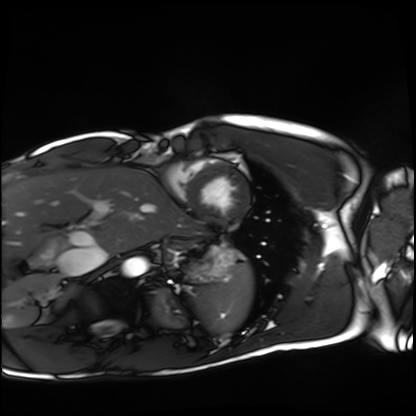
Cardiac MRI. Subject group: healthy volunteer.